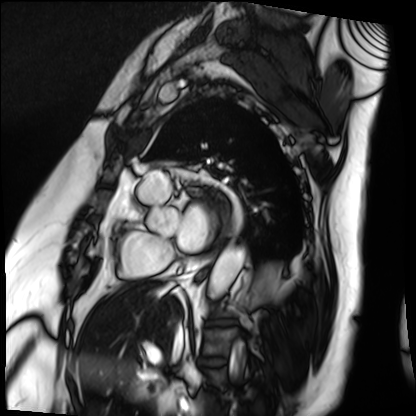
Cardiac MRI. Subject group: patient.